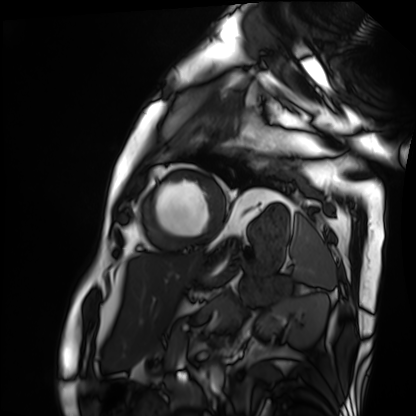
modality = cardiac MRI; subject group = patient.